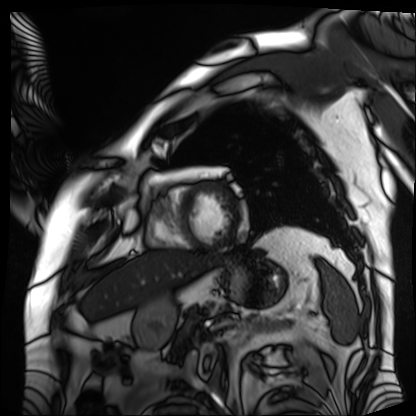
• modality — cardiac MRI
• subject group — patient